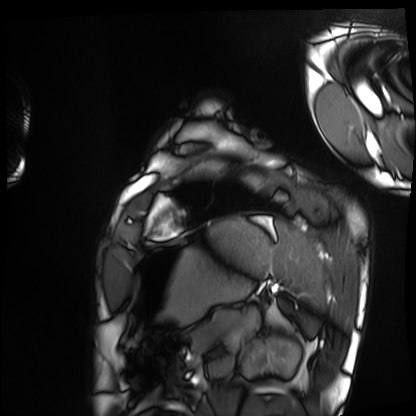
Clinical context:
Cardiac MRI. Subject group: healthy volunteer.